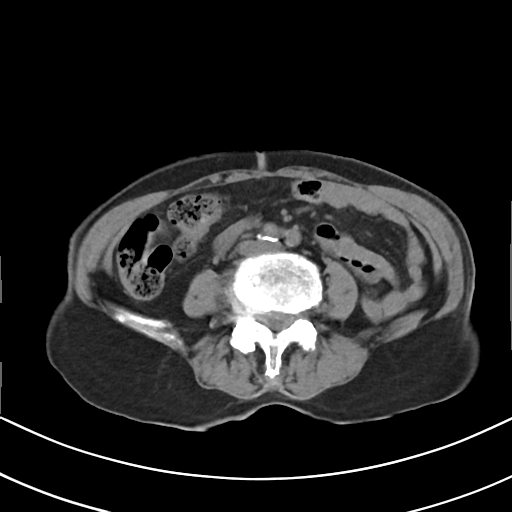
Multiphase abdominal CT, liver, non-contrast phase. Patient: female, age 75. History: prior chemotherapy.